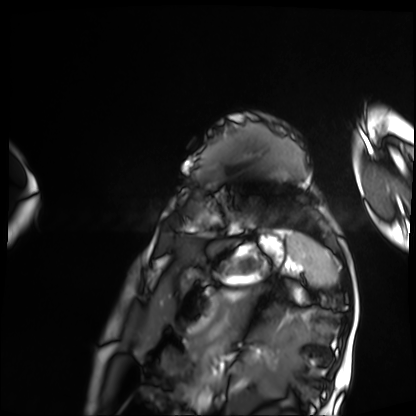
modality = cardiac MRI, subject group = patient.